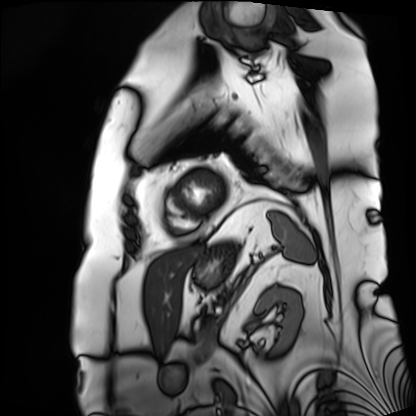
<case>
  <modality>cardiac MRI</modality>
  <cohort>patient</cohort>
</case>